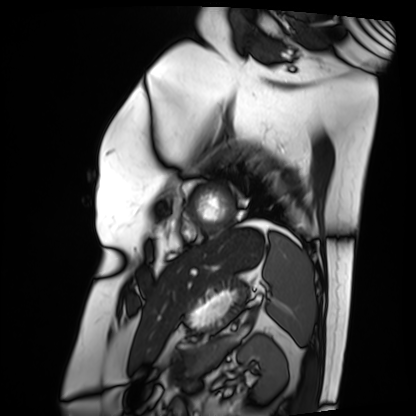
{"modality": "cardiac MRI", "cohort": "patient"}